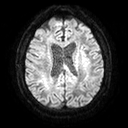
Q: What kind of scan is this?
A: 3 Tesla brain MRI.
Study: ring-enhancing brain masses.